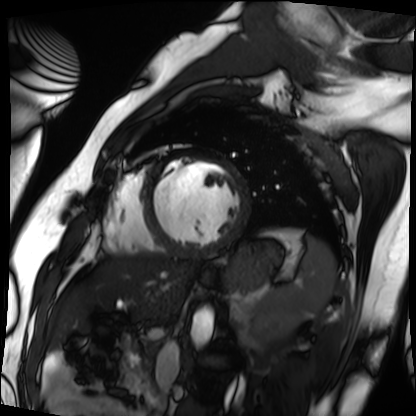
modality: cardiac MRI
subject group: patient